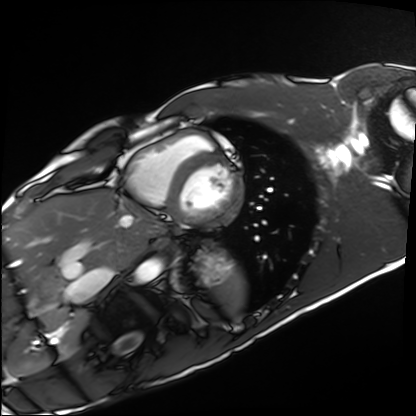
Summary:
Cardiac MRI. Subject group: healthy volunteer.